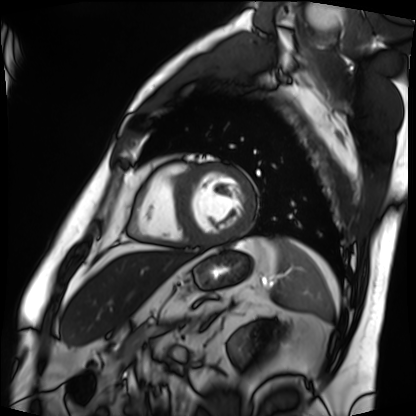
Cardiac MRI.
Subject group: patient.